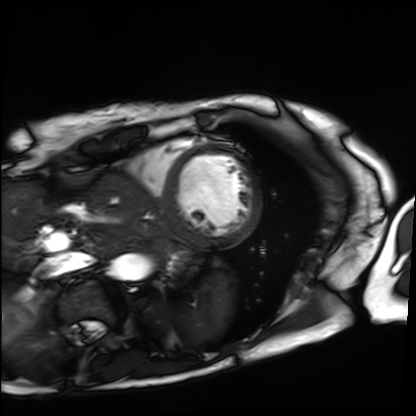
modality=cardiac MRI; subject group=patient.